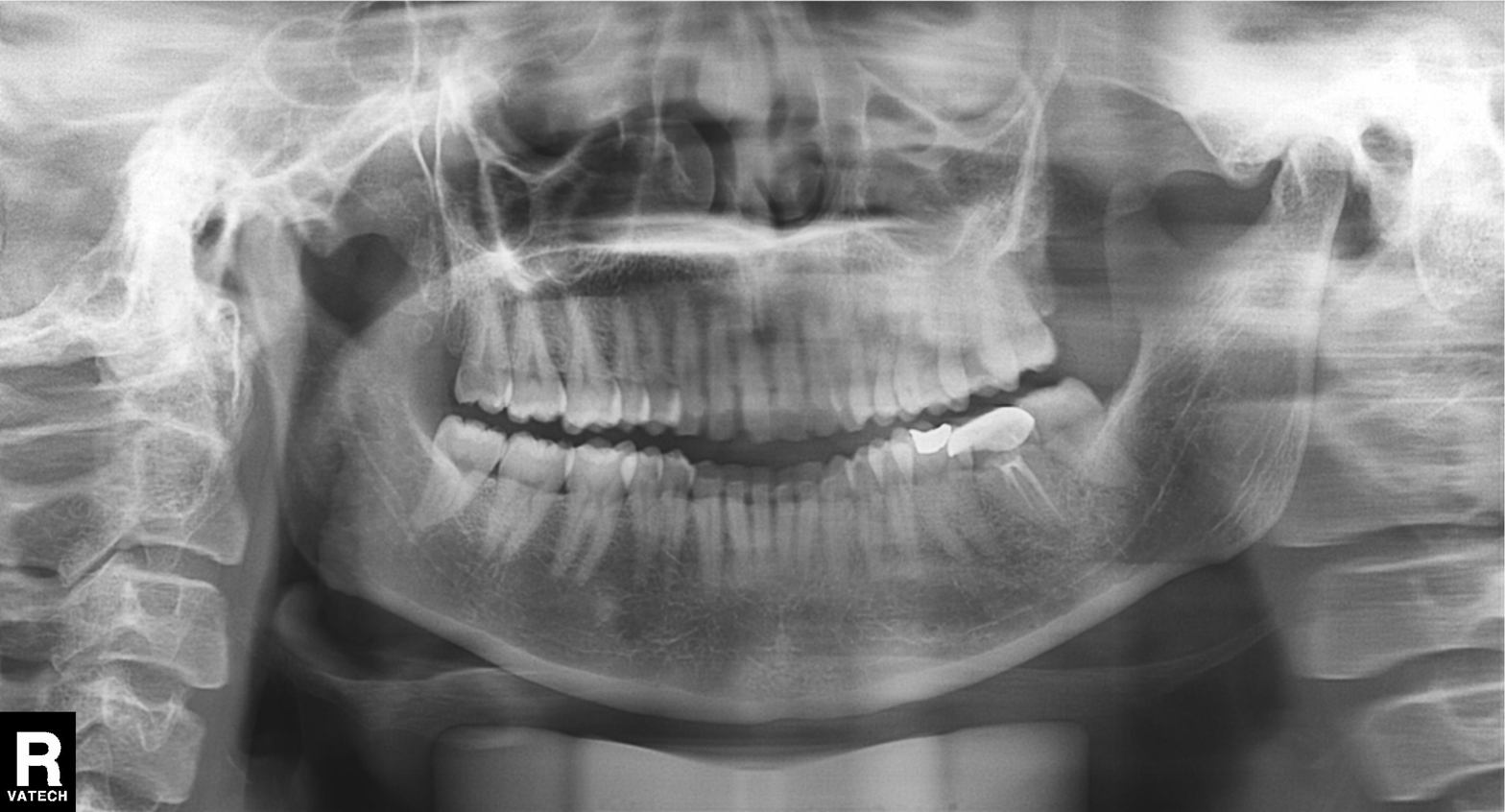
Case:
- modality: panoramic dental radiograph (orthopantomogram)
- finding: alveolar bone loss